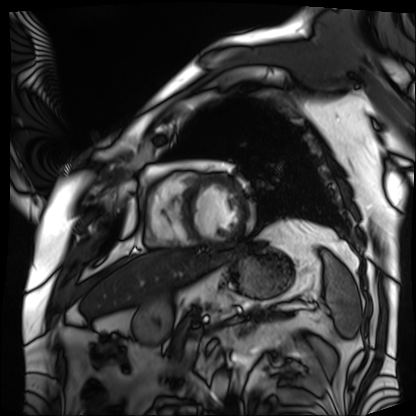
* modality · cardiac MRI
* subject group · patient